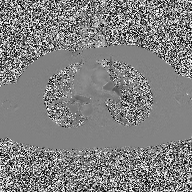
modality:
  type: 2D phase-contrast cine MRI
  region: ascending aorta
  reconstruction: high-resolution GRAPPA acquisition